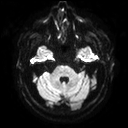
Case summary:
3 Tesla brain MRI. Series: diffusion tensor imaging (medium iso). Study: ring-enhancing brain masses.